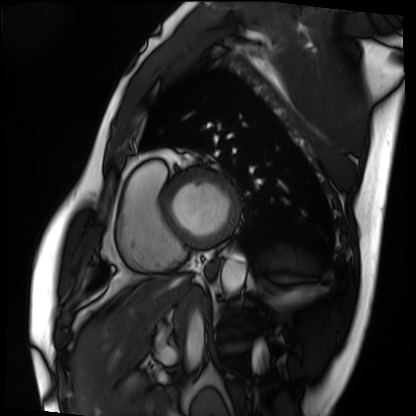
Cardiac MRI.
Subject group: patient.